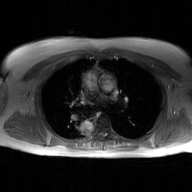
2D phase-contrast cine MRI of the ascending aorta, GAN super-resolution reconstruction.